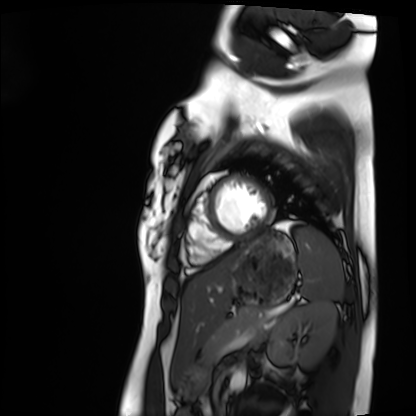
modality=cardiac MRI
subject group=healthy volunteer